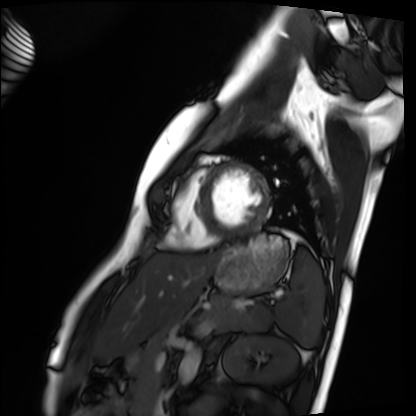
Q: What kind of scan is this?
A: Cardiac MRI.
Subject group: healthy volunteer.